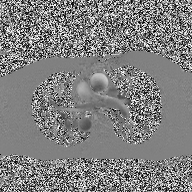
* modality · 2D phase-contrast cine MRI of the ascending aorta